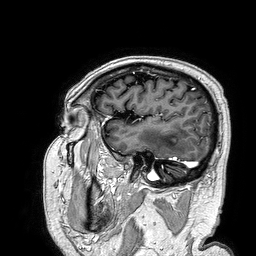
modality: 3 Tesla brain MRI
series: 3D T1-weighted turbo field echo
study: ring-enhancing brain masses